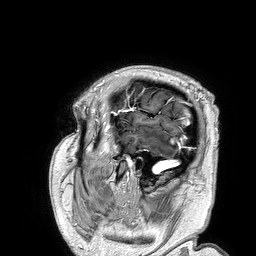
modality — 3 Tesla brain MRI; series — 3D T1-weighted turbo field echo; study — ring-enhancing brain masses.